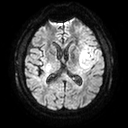
Q: What kind of scan is this?
A: 3 Tesla brain MRI.
Q: Series?
A: Diffusion tensor imaging (medium iso).
Study: ring-enhancing brain masses.